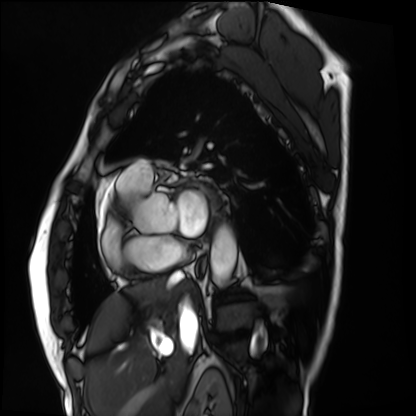
Q: What kind of scan is this?
A: Cardiac MRI.
Subject group: patient.